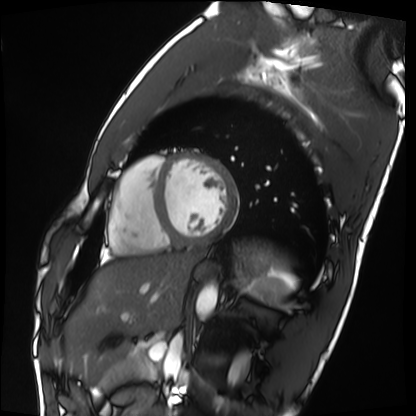
• modality · cardiac MRI
• subject group · healthy volunteer